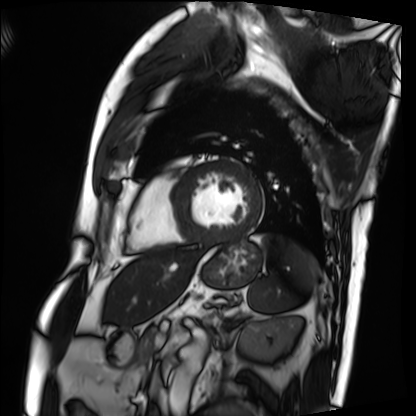
modality: cardiac MRI, subject group: patient.